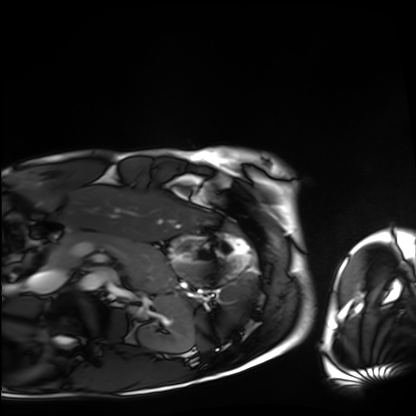
Clinical context: Cardiac MRI. Subject group: healthy volunteer.